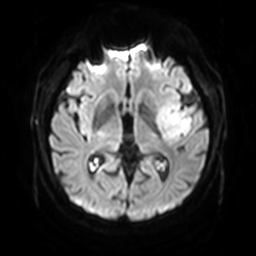
3 Tesla brain MRI.
Series: diffusion-weighted imaging with SENSE (WIP).
Study: ring-enhancing brain masses.